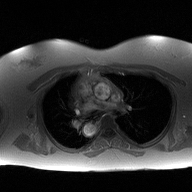
2D phase-contrast cine MRI of the ascending aorta, high-resolution GRAPPA acquisition.